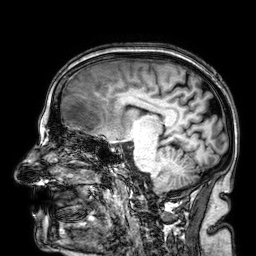
modality = 3 Tesla brain MRI; study = ring-enhancing brain masses.